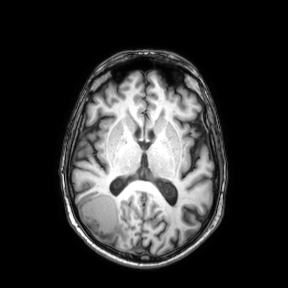
| field | value |
|---|---|
| modality | 3 Tesla brain MRI |
| series | axial |
| study | ring-enhancing brain masses |